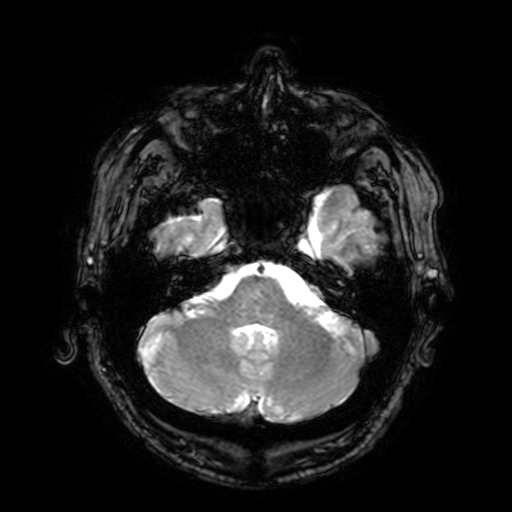
3 Tesla brain MRI. Study: ring-enhancing brain masses.